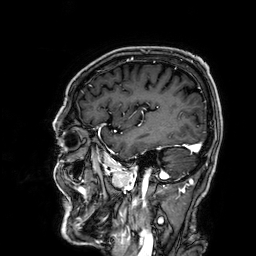
| field | value |
|---|---|
| modality | 3 Tesla brain MRI |
| series | 3D T1-weighted |
| study | ring-enhancing brain masses |